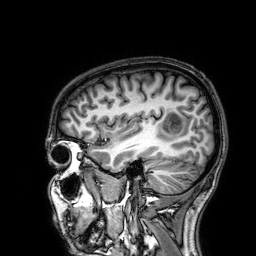
Q: What kind of scan is this?
A: 3 Tesla brain MRI.
Q: Series?
A: 3D T1-weighted.
Study: ring-enhancing brain masses.